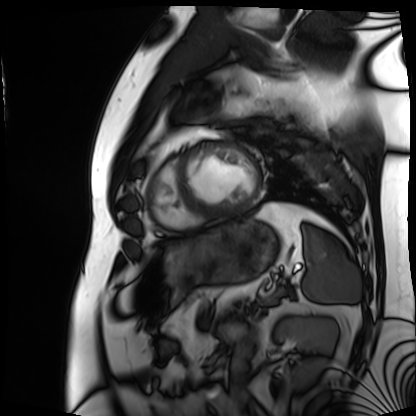
* modality: cardiac MRI
* subject group: patient